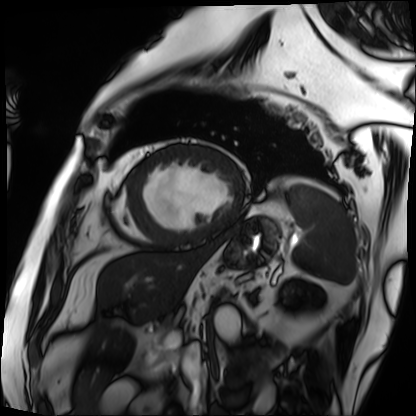
Cardiac MRI.
Subject group: patient.